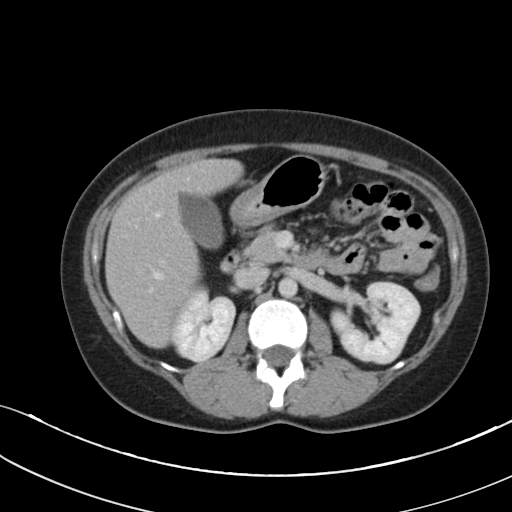
<study>
  <modality>
    <type>multiphase abdominal CT</type>
    <region>liver</region>
    <phase>portal venous</phase>
  </modality>
  <patient>
    <sex>female</sex>
    <age>36</age>
  </patient>
</study>